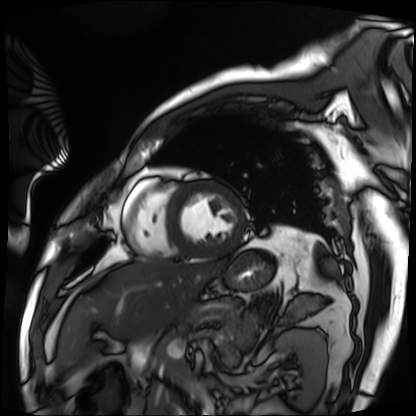
Case summary: Cardiac MRI. Subject group: patient.